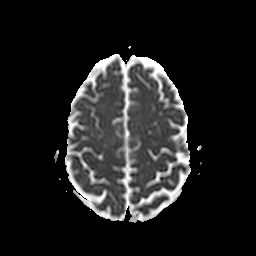
Summary:
3 Tesla brain MRI. Series: apparent diffusion coefficient (ADC) map. Study: ring-enhancing brain masses.